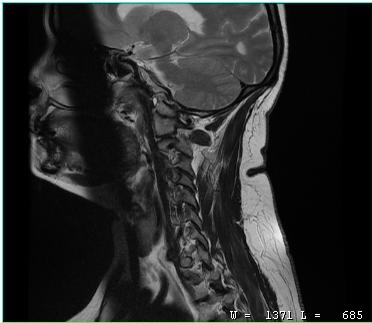
Q: What kind of scan is this?
A: MRI of the cervical spine.
Study: cervical spondylosis.